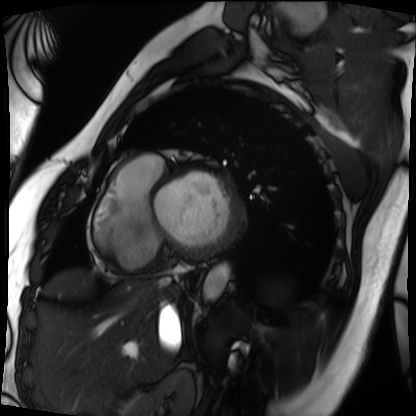
| field | value |
|---|---|
| modality | cardiac MRI |
| subject group | patient |